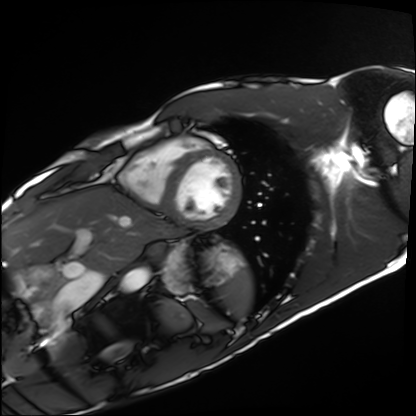
Case:
– modality · cardiac MRI
– subject group · healthy volunteer